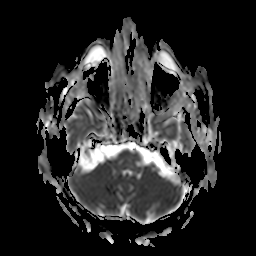
3 Tesla brain MRI. Study: ring-enhancing brain masses.